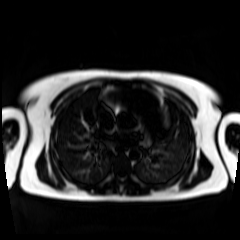
Chemical-shift-encoded cardiac MRI.